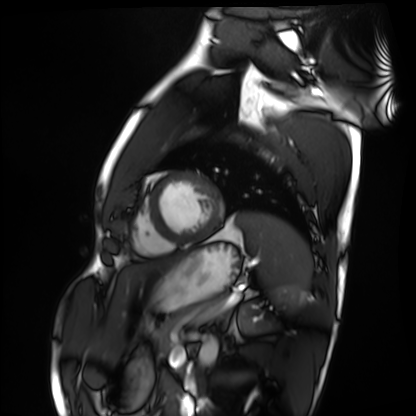
- modality — cardiac MRI
- subject group — healthy volunteer